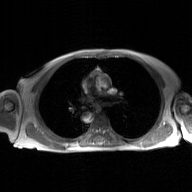
2D phase-contrast cine MRI of the ascending aorta, GAN super-resolution reconstruction.